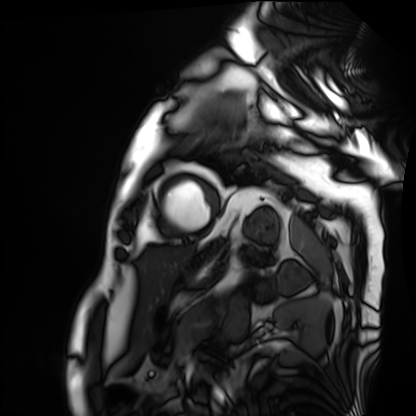
| field | value |
|---|---|
| modality | cardiac MRI |
| subject group | patient |